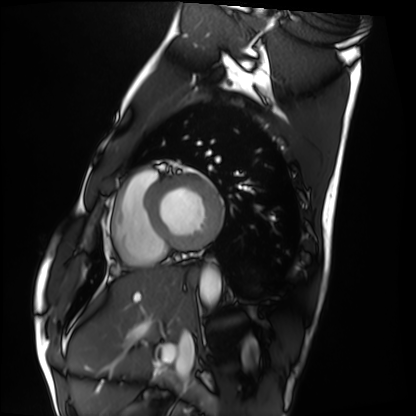
Clinical context: Cardiac MRI. Subject group: healthy volunteer.